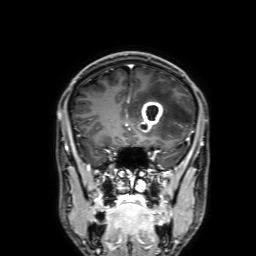
<case>
  <modality>
    <type>brain MRI</type>
    <field_strength>3T</field_strength>
  </modality>
  <series>3D T1-weighted with SENSE</series>
  <study_topic>ring-enhancing brain masses</study_topic>
</case>